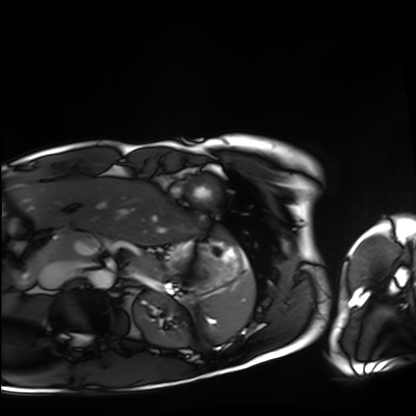
<study>
  <modality>cardiac MRI</modality>
  <cohort>healthy volunteer</cohort>
</study>